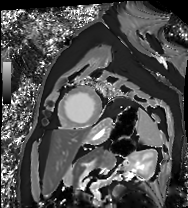
modality: cardiac MRI
subject group: patient